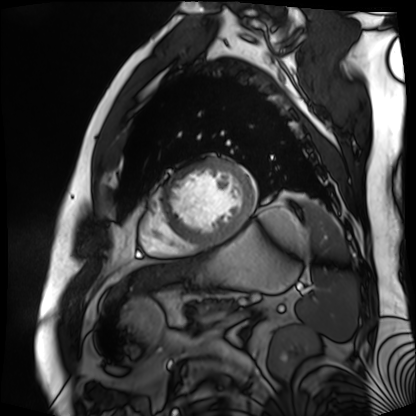
modality = cardiac MR image of the myocardium, subject cohort = cardiac patient.